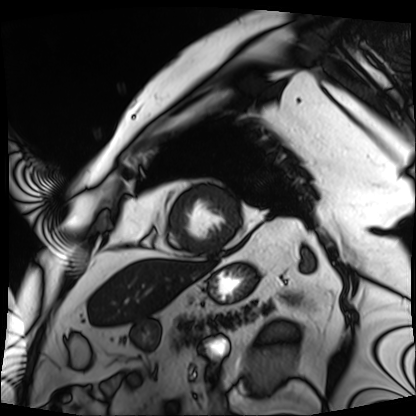
modality = cardiac MRI | subject group = patient.